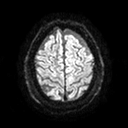
Summary:
3 Tesla brain MRI. Series: diffusion tensor imaging (medium iso). Study: ring-enhancing brain masses.